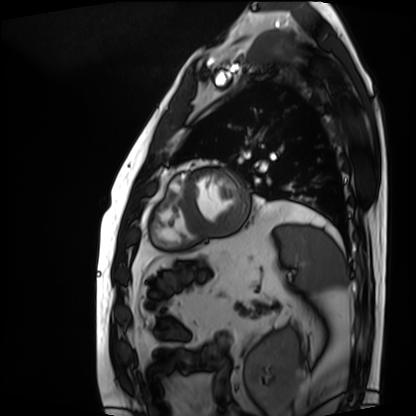
Cardiac MRI.
Subject group: patient.